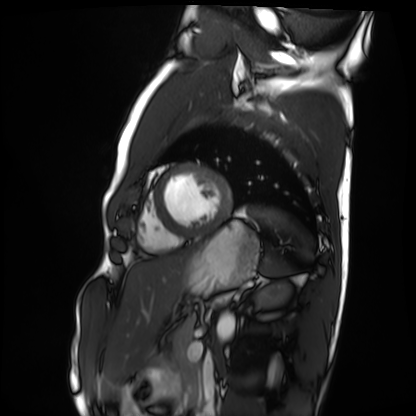
{"modality": "cardiac MRI", "cohort": "healthy volunteer"}